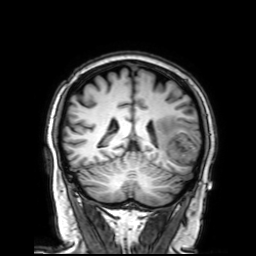
Clinical context:
3 Tesla brain MRI. Series: 3D T1-weighted with SENSE. Study: ring-enhancing brain masses.